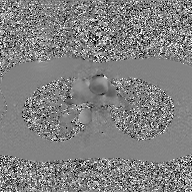
Summary: 2D phase-contrast cine MRI of the ascending aorta, GAN super-resolution reconstruction.